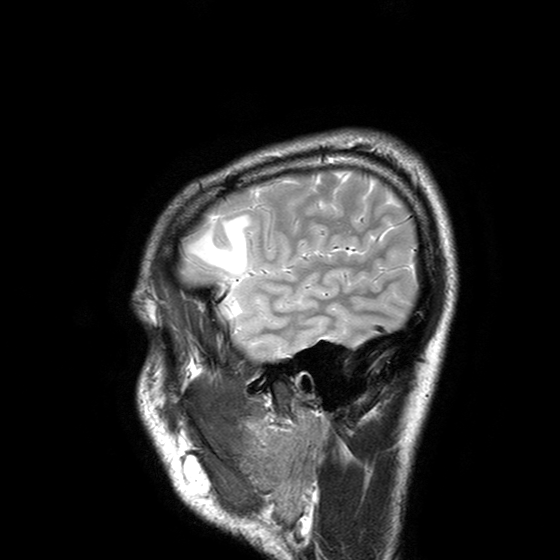
Q: What kind of scan is this?
A: 3 Tesla brain MRI.
Q: Series?
A: T2-weighted turbo spin echo with SENSE.
Study: ring-enhancing brain masses.